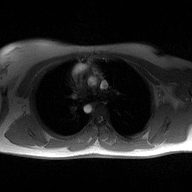
2D phase-contrast cine MRI of the ascending aorta, high-resolution GRAPPA acquisition.